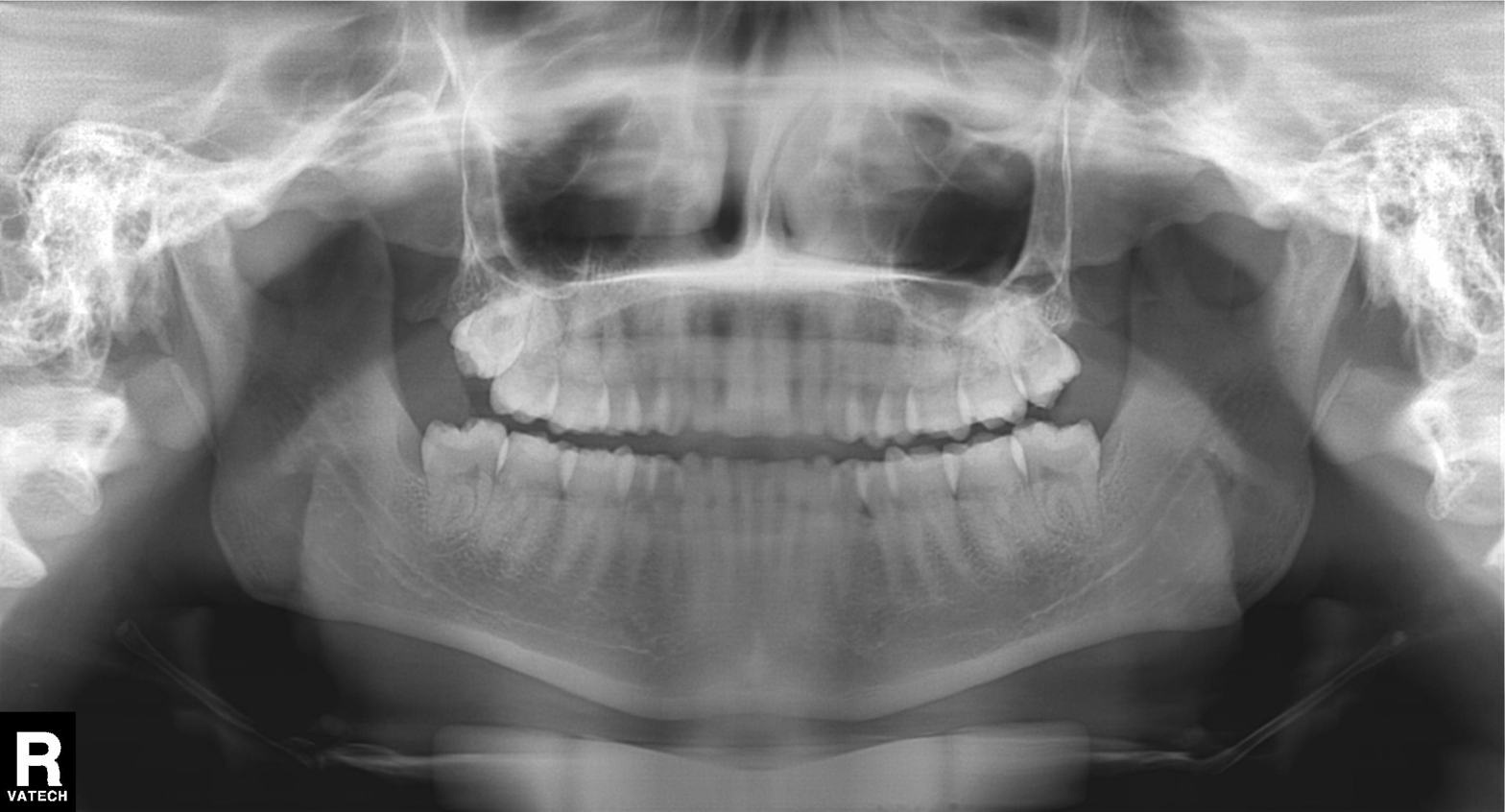
{"modality": "panoramic dental radiograph (orthopantomogram)", "finding": "tooth impaction"}